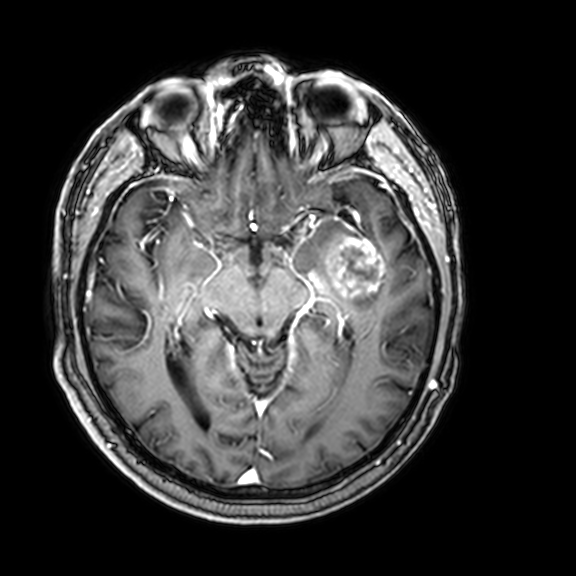
• modality: 3 Tesla brain MRI
• series: 3D T1-weighted with CLEAR
• study: ring-enhancing brain masses